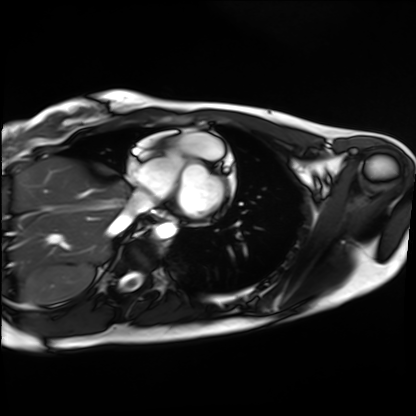
  modality: cardiac MRI
  cohort: healthy volunteer